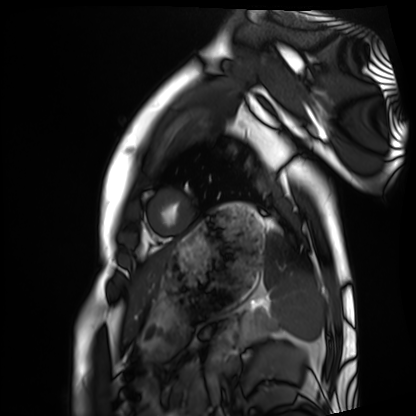
modality = cardiac MRI
subject group = healthy volunteer